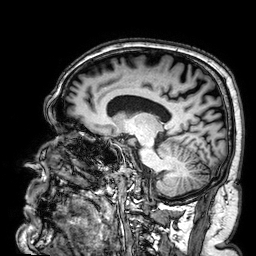
Case:
– modality — 3 Tesla brain MRI
– series — 3D T1-weighted
– study — ring-enhancing brain masses